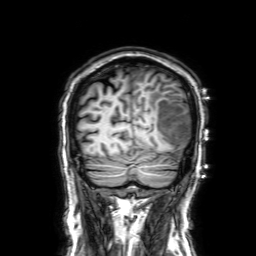
Clinical context: 3 Tesla brain MRI. Series: 3D T1-weighted with SENSE. Study: ring-enhancing brain masses.